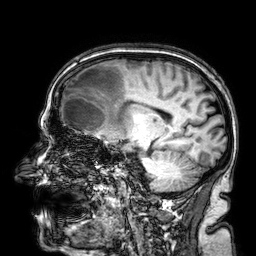
3 Tesla brain MRI. Study: ring-enhancing brain masses.